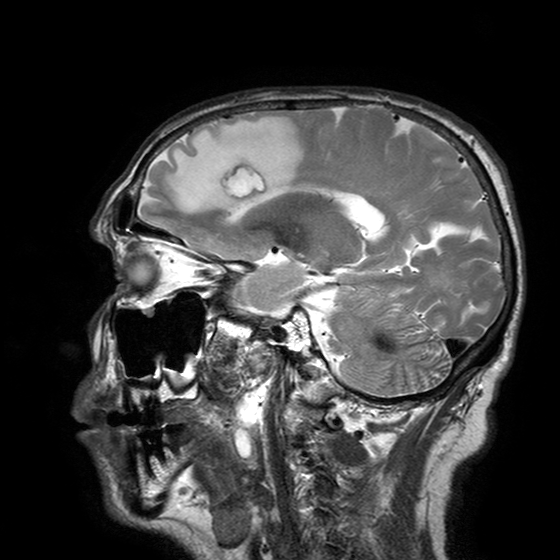
Summary: 3 Tesla brain MRI. Series: T2-weighted turbo spin echo with SENSE. Study: ring-enhancing brain masses.